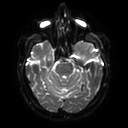
modality: 3 Tesla brain MRI; series: diffusion tensor imaging (medium iso); study: ring-enhancing brain masses.